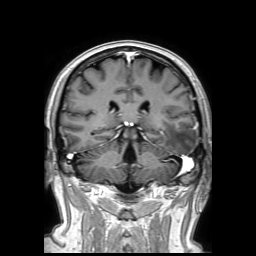
modality = 3 Tesla brain MRI
series = 3D T1-weighted TFE with SENSE
study = ring-enhancing brain masses